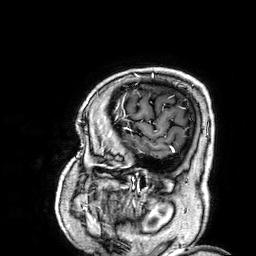
Clinical context:
3 Tesla brain MRI. Series: 3D T1-weighted. Study: ring-enhancing brain masses.